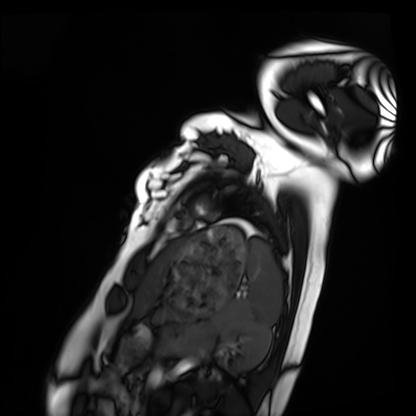
Clinical context: Cardiac MRI. Subject group: healthy volunteer.